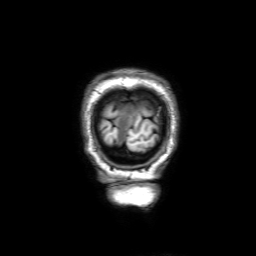
3 Tesla brain MRI.
Series: 3D T1-weighted with SENSE.
Study: ring-enhancing brain masses.